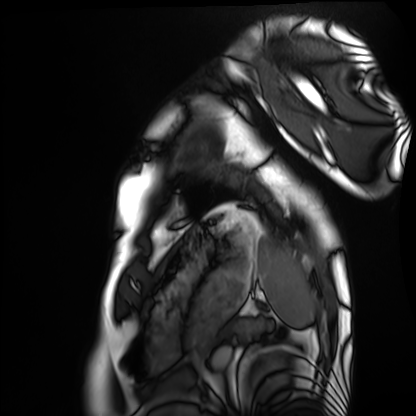
Cardiac MRI.
Subject group: healthy volunteer.